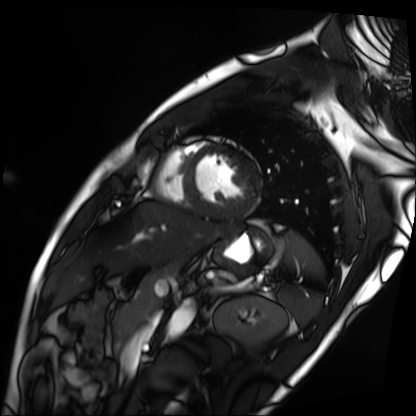
Cardiac MRI. Subject group: patient.